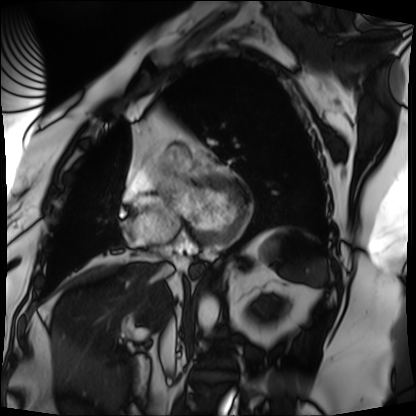
Cardiac MRI.
Subject group: patient.